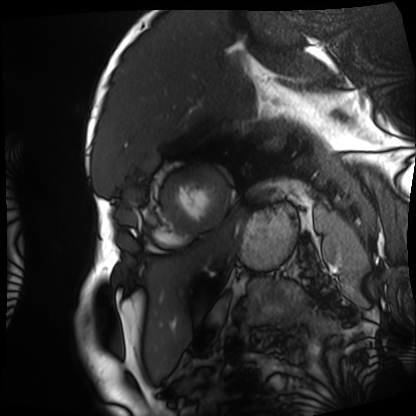
- modality: cardiac MRI
- subject group: patient